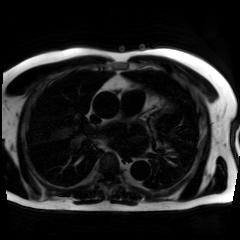
Q: What kind of scan is this?
A: Chemical-shift-encoded cardiac MRI.